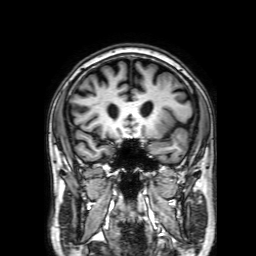
Q: What kind of scan is this?
A: 3 Tesla brain MRI.
Q: Series?
A: 3D T1-weighted with SENSE.
Study: ring-enhancing brain masses.